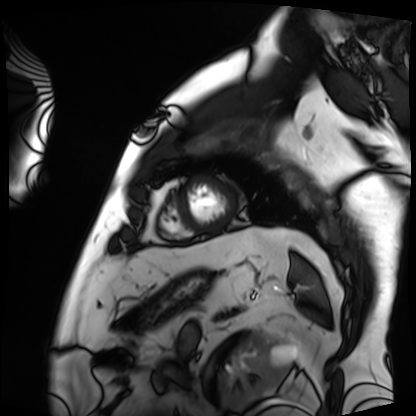
Cardiac MRI. Subject group: patient.